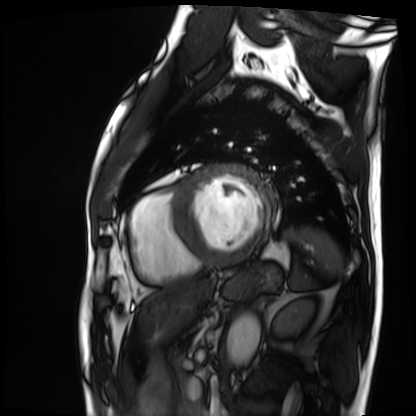
{
  "modality": "cardiac MRI",
  "cohort": "patient"
}